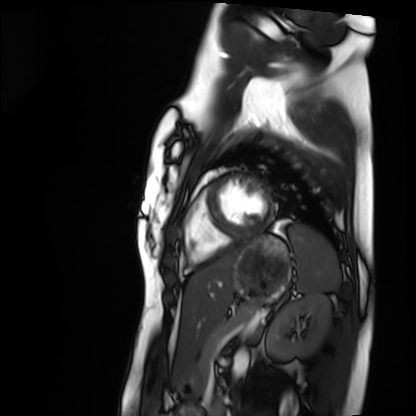
Cardiac MRI.
Subject group: healthy volunteer.